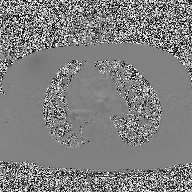
2D phase-contrast cine MRI of the ascending aorta, high-resolution GRAPPA acquisition.